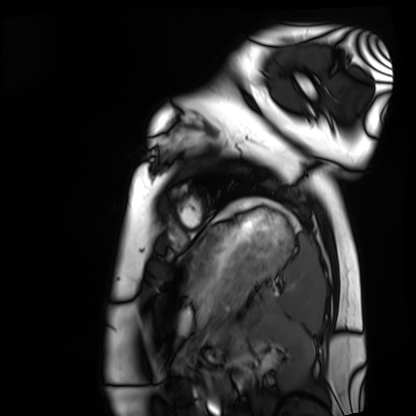
{
  "modality": "cardiac MRI",
  "cohort": "healthy volunteer"
}